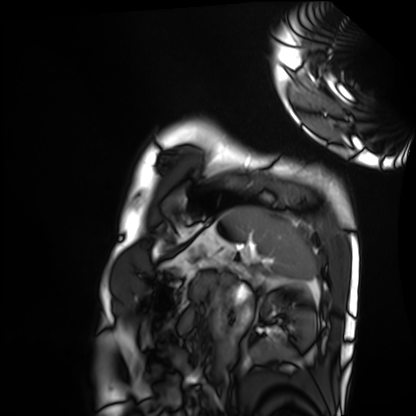
• modality · cardiac MRI
• subject group · healthy volunteer